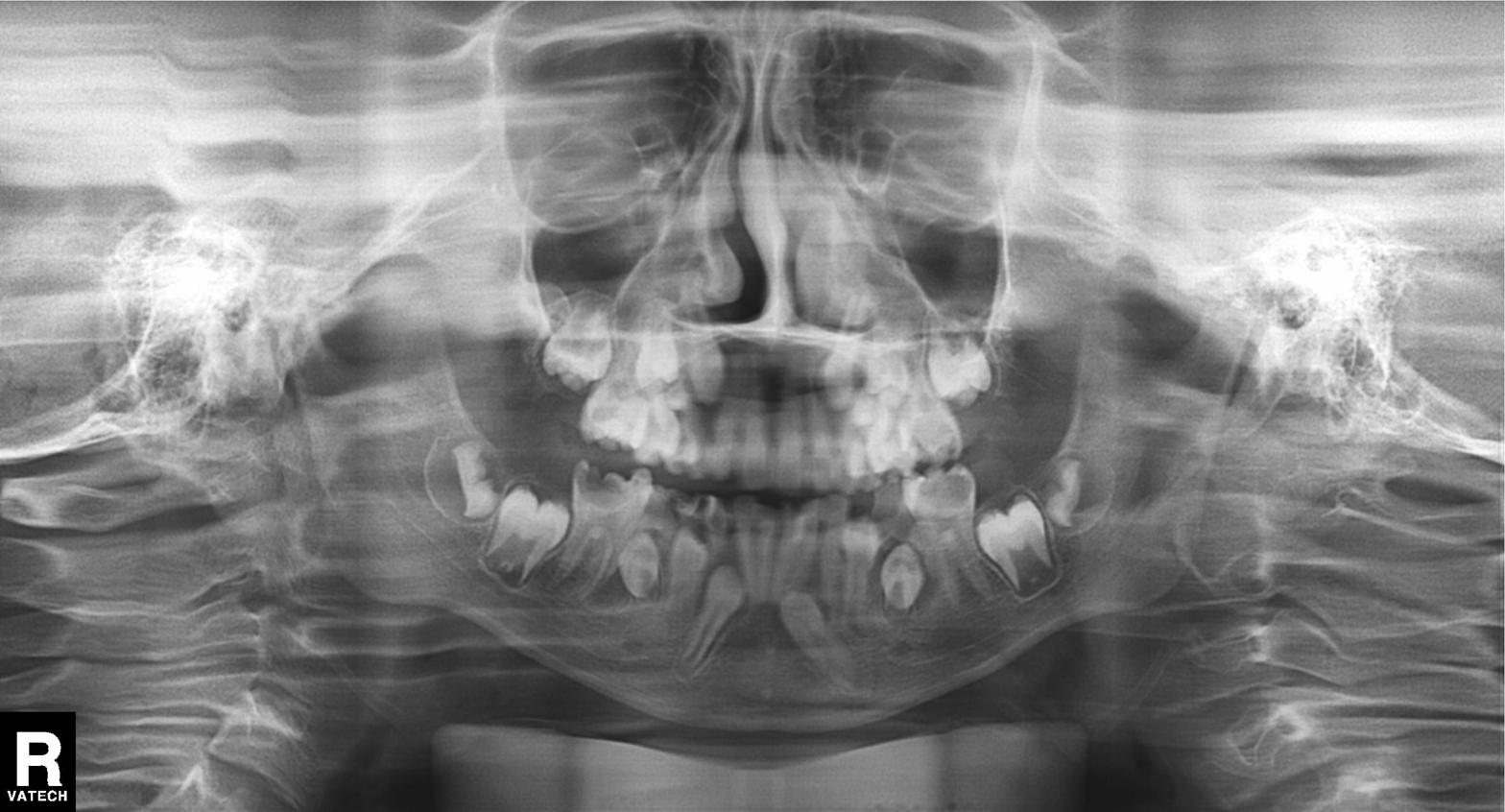
{"modality": "panoramic dental radiograph (orthopantomogram)", "finding": "alveolar bone loss"}